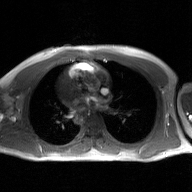
2D phase-contrast cine MRI of the ascending aorta, GAN super-resolution reconstruction.